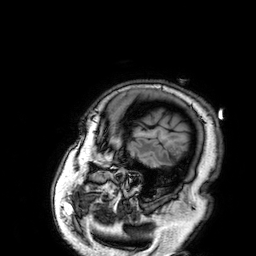
<case>
<modality>
  <type>brain MRI</type>
  <field_strength>3T</field_strength>
</modality>
<study_topic>ring-enhancing brain masses</study_topic>
</case>